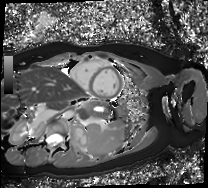
Summary: Cardiac MR image of the myocardium. Subject cohort: healthy volunteer.